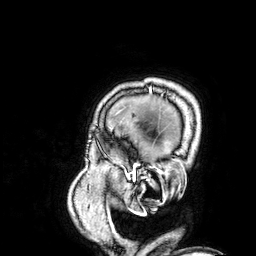
Case:
• modality: 3 Tesla brain MRI
• series: 3D T1-weighted
• study: ring-enhancing brain masses